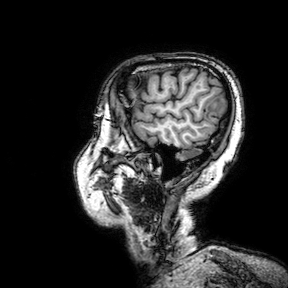
– modality · 3 Tesla brain MRI
– series · 3D T1-weighted turbo field echo with SENSE
– study · ring-enhancing brain masses